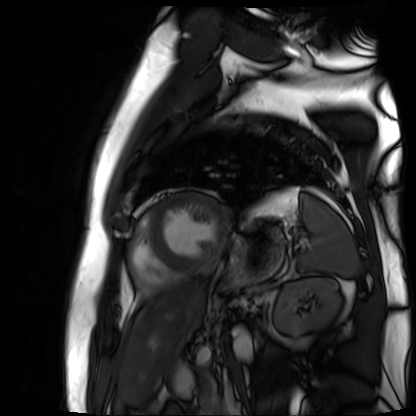
Clinical context: Cardiac MR image of the myocardium. Subject cohort: cardiac patient.